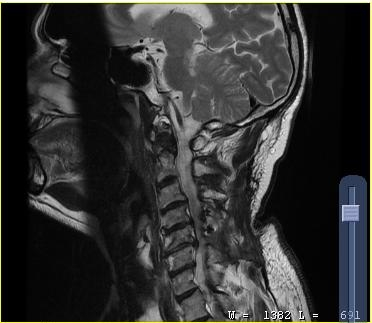
Clinical context: MRI of the cervical spine. Study: cervical spondylosis.